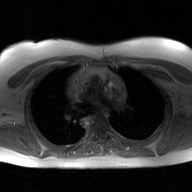
modality: 2D phase-contrast cine MRI of the ascending aorta, GAN super-resolution reconstruction.